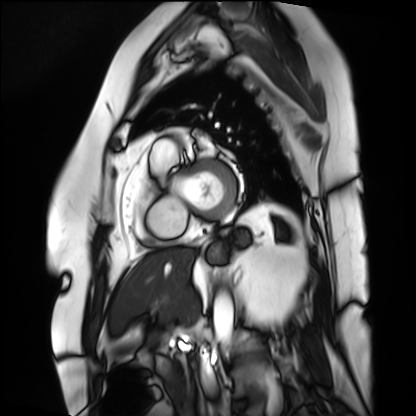
modality: cardiac MRI | subject group: patient.